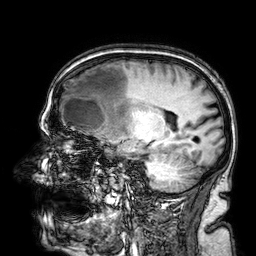
3 Tesla brain MRI. Series: 3D T1-weighted. Study: ring-enhancing brain masses.